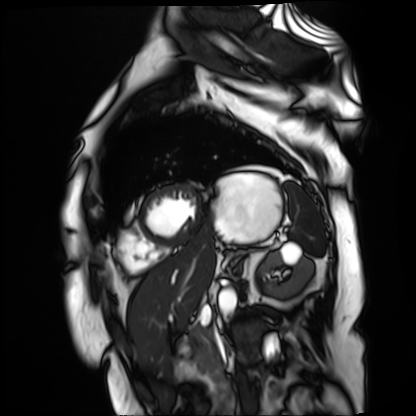
Cardiac MR image of the myocardium.
Subject cohort: cardiac patient.